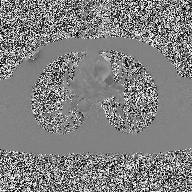
<study>
  <modality>
    <type>2D phase-contrast cine MRI</type>
    <region>ascending aorta</region>
    <reconstruction>high-resolution GRAPPA acquisition</reconstruction>
  </modality>
</study>